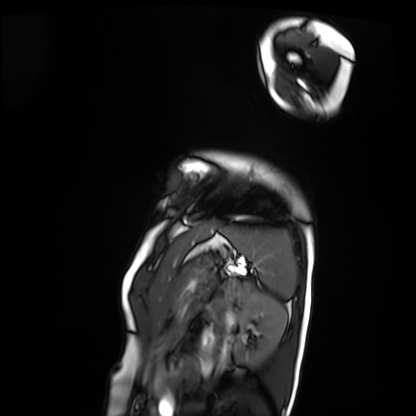
Summary: Cardiac MRI. Subject group: patient.